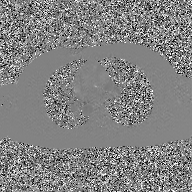
Case:
– modality · 2D phase-contrast cine MRI of the ascending aorta, GAN super-resolution reconstruction